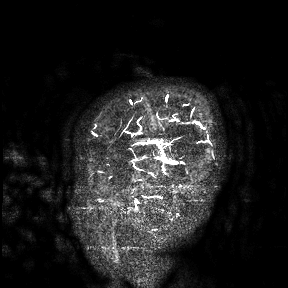
3 Tesla brain MRI.
Study: ring-enhancing brain masses.